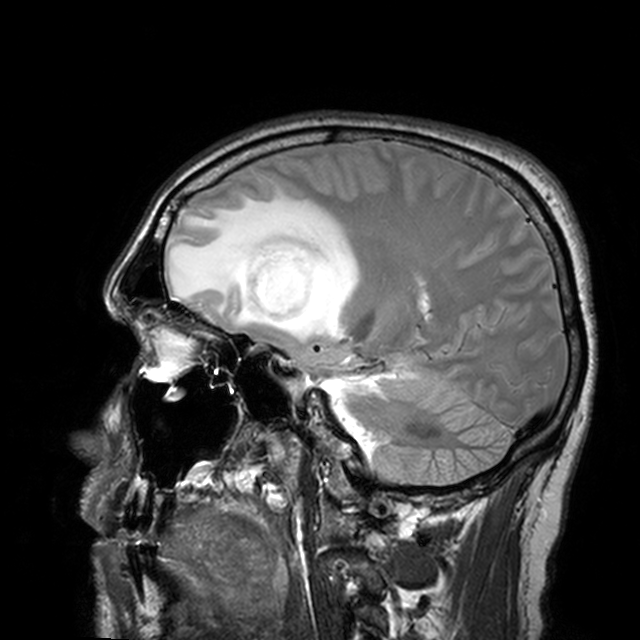
modality = 3 Tesla brain MRI | study = ring-enhancing brain masses.